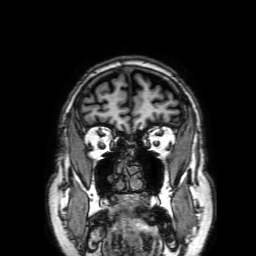
3 Tesla brain MRI.
Series: 3D T1-weighted with SENSE.
Study: ring-enhancing brain masses.